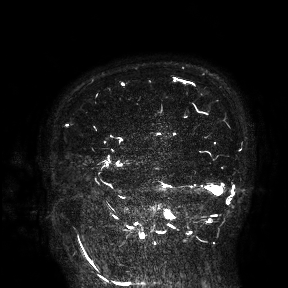
3 Tesla brain MRI.
Study: ring-enhancing brain masses.